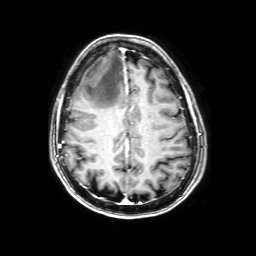
- modality — 3 Tesla brain MRI
- series — 3D T1-weighted with SENSE
- study — ring-enhancing brain masses